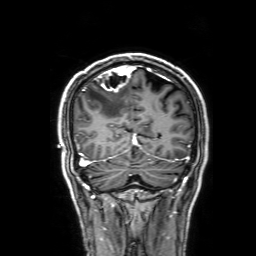
  modality:
    type: brain MRI
    field_strength: 3T
  series: 3D T1-weighted with SENSE
  study_topic: ring-enhancing brain masses